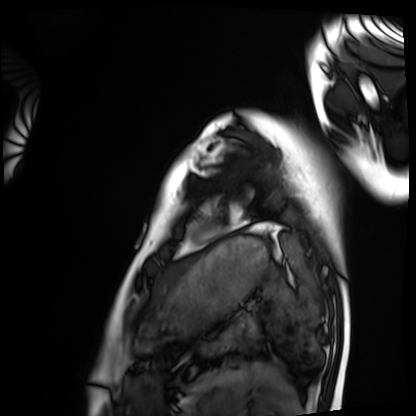
{
  "modality": "cardiac MRI",
  "cohort": "healthy volunteer"
}